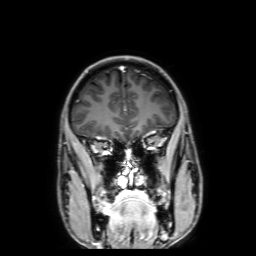
3 Tesla brain MRI.
Series: 3D T1-weighted with SENSE.
Study: ring-enhancing brain masses.